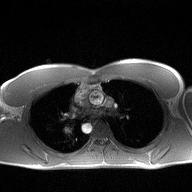
modality: 2D phase-contrast cine MRI of the ascending aorta.